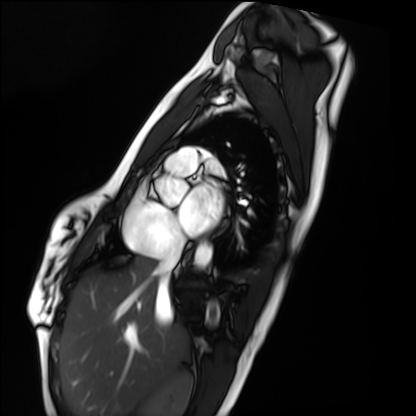
| field | value |
|---|---|
| modality | cardiac MRI |
| subject group | healthy volunteer |